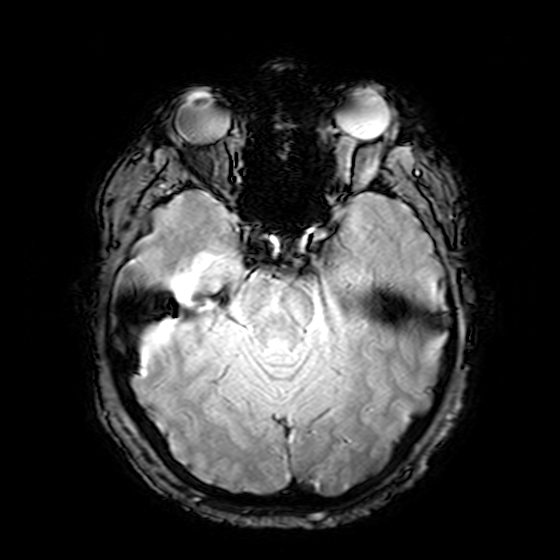
Clinical context: 3 Tesla brain MRI. Series: T2-weighted fast field echo. Study: ring-enhancing brain masses.